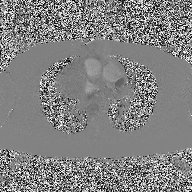
Case:
- modality: 2D phase-contrast cine MRI of the ascending aorta